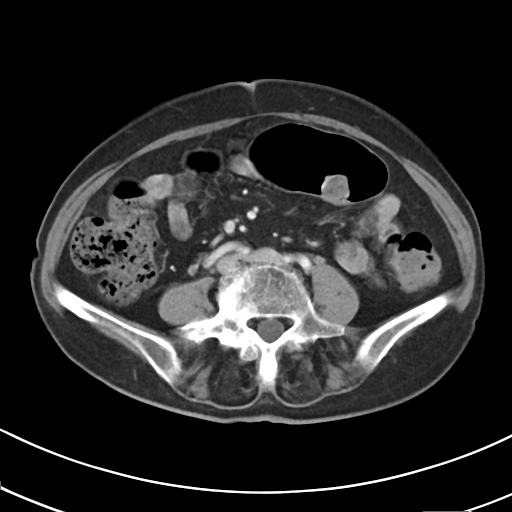
Summary: Multiphase abdominal CT, liver, arterial phase. Patient: female, age 71. History: prior chemotherapy.